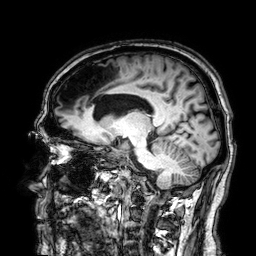
Q: What kind of scan is this?
A: 3 Tesla brain MRI.
Q: Series?
A: 3D T1-weighted.
Study: ring-enhancing brain masses.